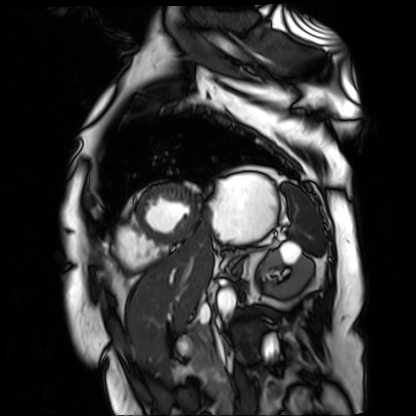
Cardiac MR image of the myocardium. Subject cohort: cardiac patient.